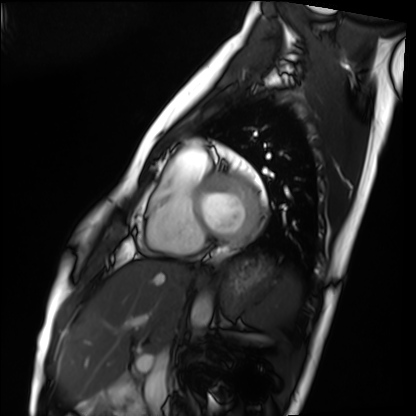
Summary: Cardiac MRI. Subject group: healthy volunteer.